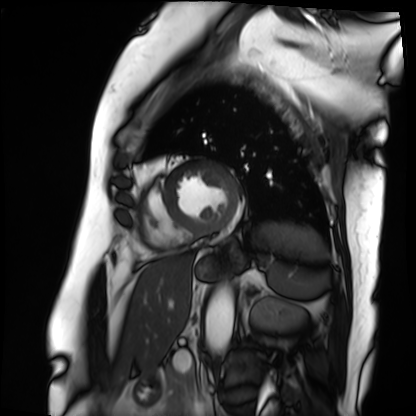
Cardiac MRI. Subject group: patient.